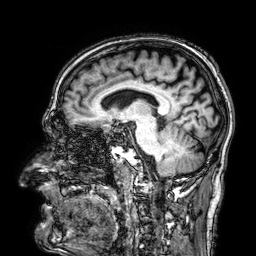
modality: 3 Tesla brain MRI | series: 3D T1-weighted | study: ring-enhancing brain masses.